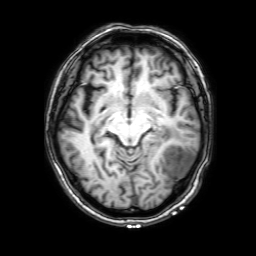
{"modality": {"type": "brain MRI", "field_strength": "3T"}, "study_topic": "ring-enhancing brain masses"}